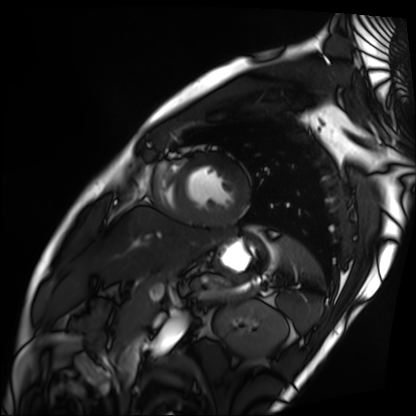
* modality · cardiac MRI
* subject group · patient